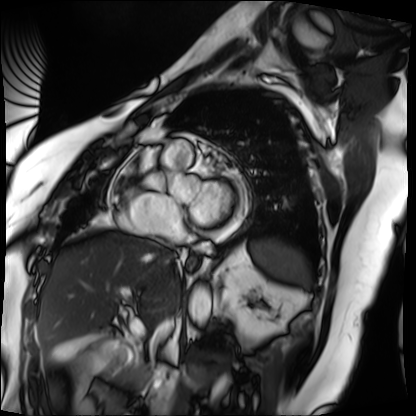
Summary: Cardiac MRI. Subject group: patient.